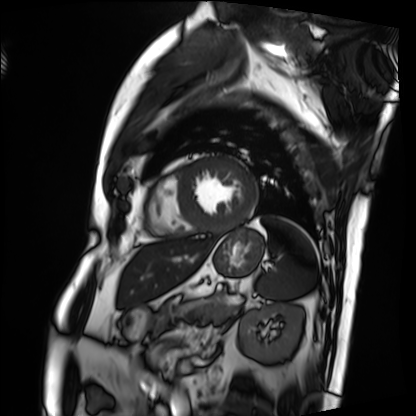
Cardiac MRI. Subject group: patient.